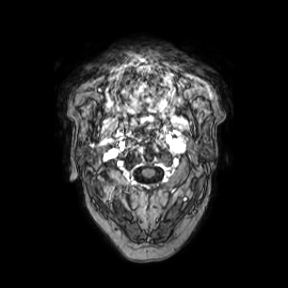
3 Tesla brain MRI. Series: axial. Study: ring-enhancing brain masses.